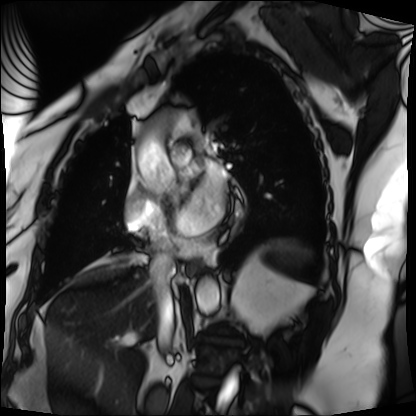
modality: cardiac MRI | subject group: patient.